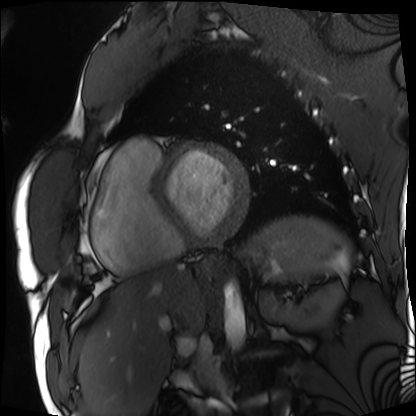
| field | value |
|---|---|
| modality | cardiac MRI |
| subject group | patient |